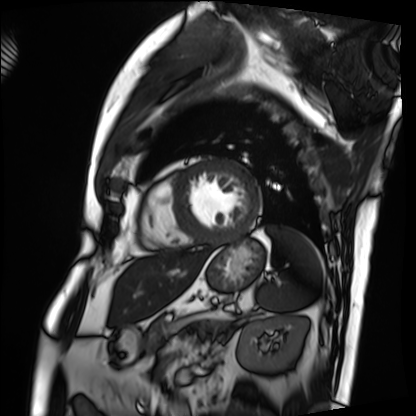
modality — cardiac MRI
subject group — patient